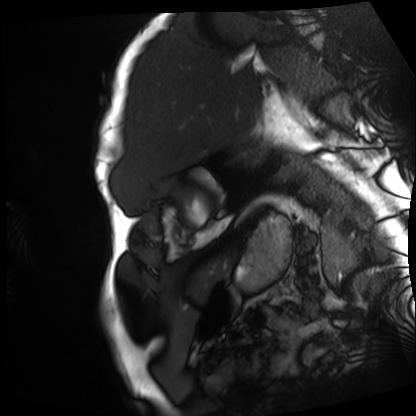
• modality · cardiac MRI
• subject group · patient